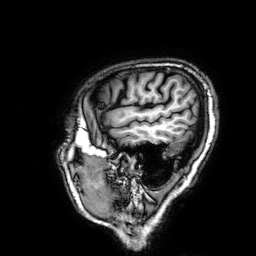
Clinical context: 3 Tesla brain MRI. Series: 3D T1-weighted. Study: ring-enhancing brain masses.